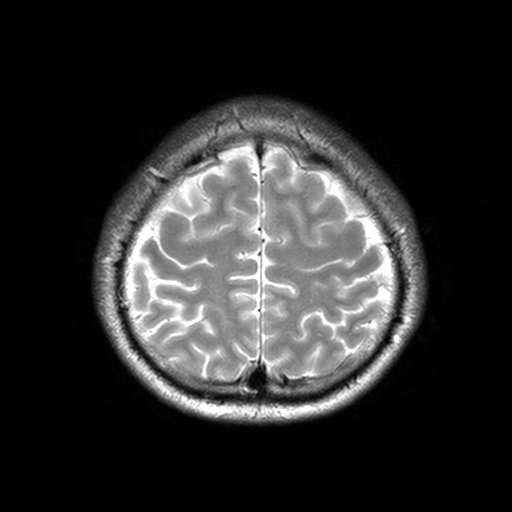
modality: 3 Tesla brain MRI
series: T2-weighted turbo spin echo, 3 mm
study: ring-enhancing brain masses